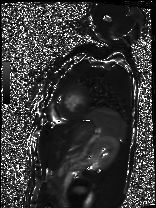
Cardiac MRI. Subject group: patient.